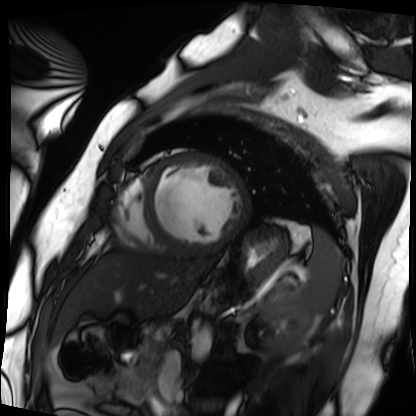
Summary: Cardiac MRI. Subject group: patient.